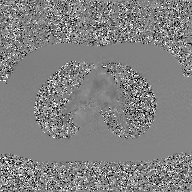
Q: What kind of scan is this?
A: 2D phase-contrast cine MRI of the ascending aorta, GAN super-resolution reconstruction.